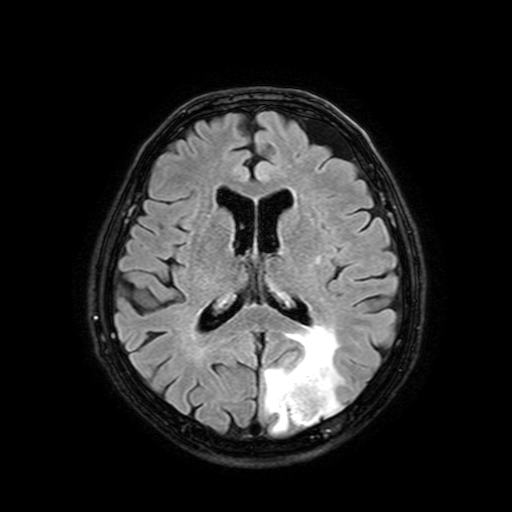
Q: What kind of scan is this?
A: 3 Tesla brain MRI.
Q: Series?
A: FLAIR with SPAIR, 3 mm.
Study: ring-enhancing brain masses.